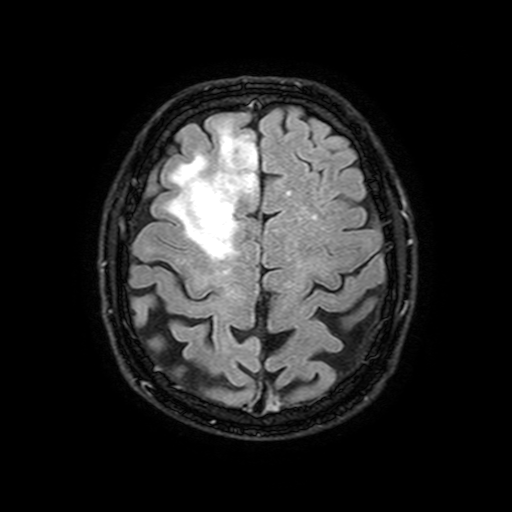
modality: 3 Tesla brain MRI; series: FLAIR with SPAIR, 3 mm; study: ring-enhancing brain masses.